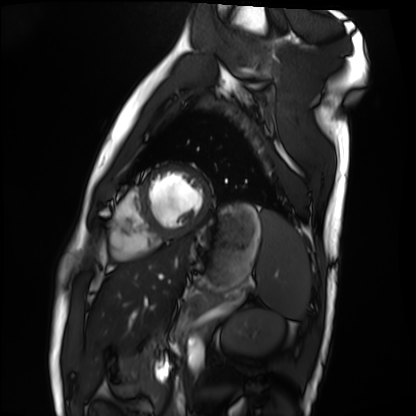
- modality — cardiac MRI
- subject group — healthy volunteer